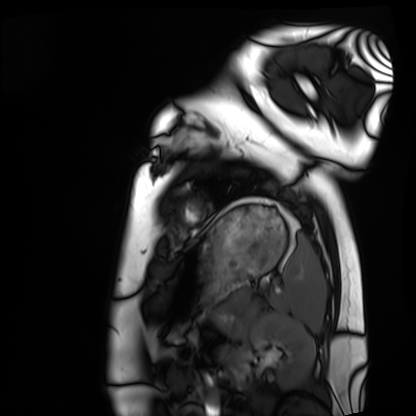
Cardiac MRI. Subject group: healthy volunteer.